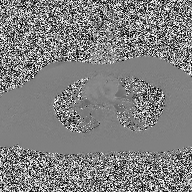
| field | value |
|---|---|
| modality | 2D phase-contrast cine MRI of the ascending aorta |